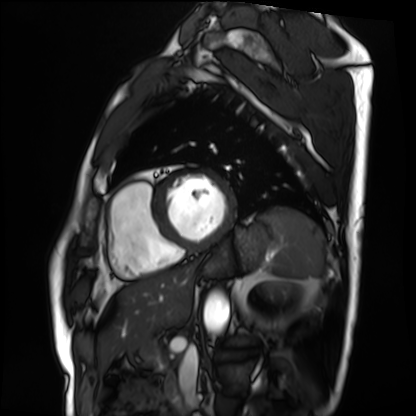
modality: cardiac MRI; subject group: patient.